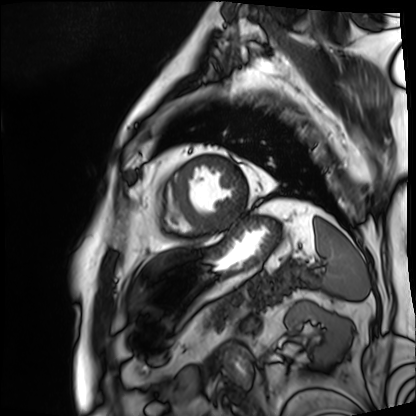
<scan>
<modality>cardiac MRI</modality>
<cohort>patient</cohort>
</scan>